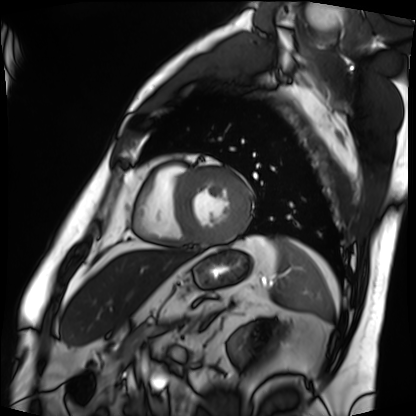
Q: What kind of scan is this?
A: Cardiac MRI.
Subject group: patient.